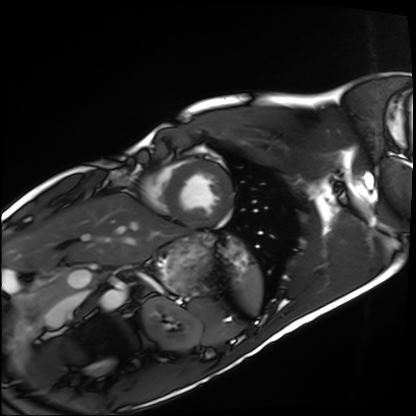
Cardiac MRI.
Subject group: healthy volunteer.